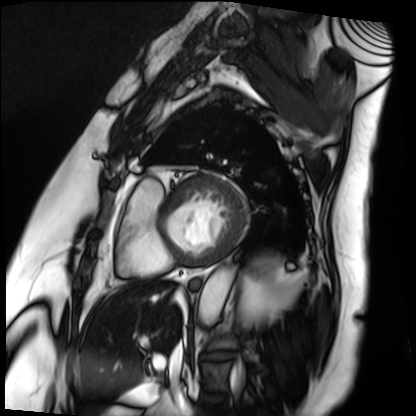
modality: cardiac MRI; subject group: patient.